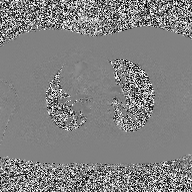
| field | value |
|---|---|
| modality | 2D phase-contrast cine MRI of the ascending aorta |